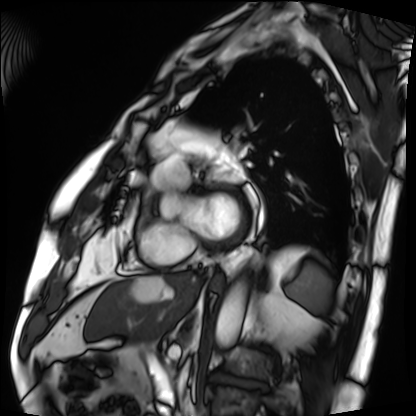
modality = cardiac MRI
subject group = patient